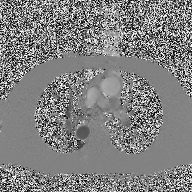
modality: 2D phase-contrast cine MRI of the ascending aorta.